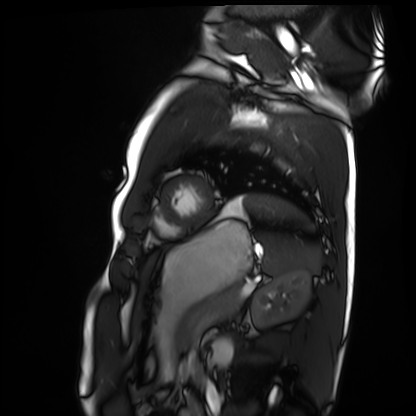
modality — cardiac MRI
subject group — healthy volunteer